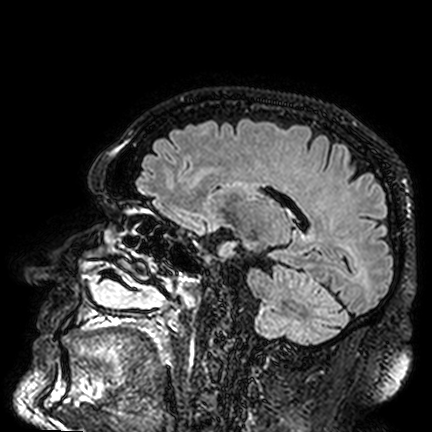
Q: What kind of scan is this?
A: 3 Tesla brain MRI.
Q: Series?
A: FLAIR VISTA.
Study: ring-enhancing brain masses.